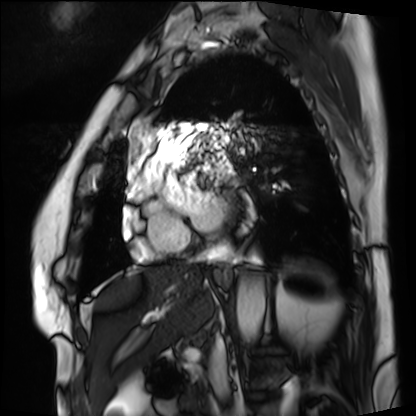
Cardiac MRI.
Subject group: patient.